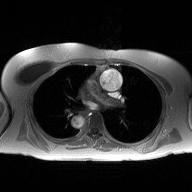
modality = 2D phase-contrast cine MRI of the ascending aorta.